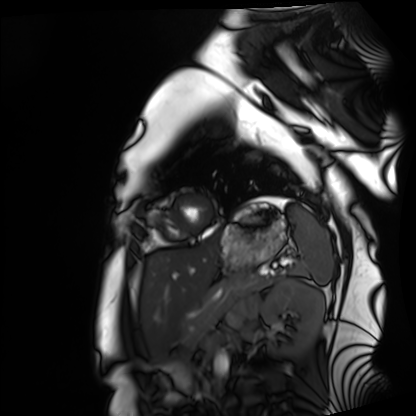
Summary: Cardiac MRI. Subject group: healthy volunteer.